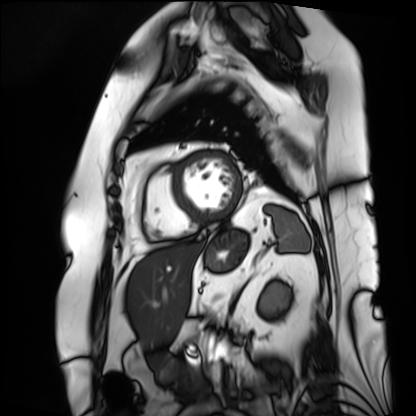
{
  "modality": "cardiac MRI",
  "cohort": "patient"
}